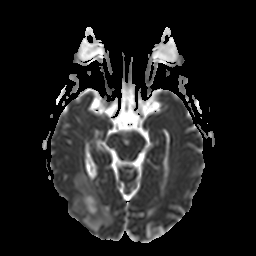
{
  "modality": {
    "type": "brain MRI",
    "field_strength": "3T"
  },
  "series": "apparent diffusion coefficient (ADC) map",
  "study_topic": "ring-enhancing brain masses"
}